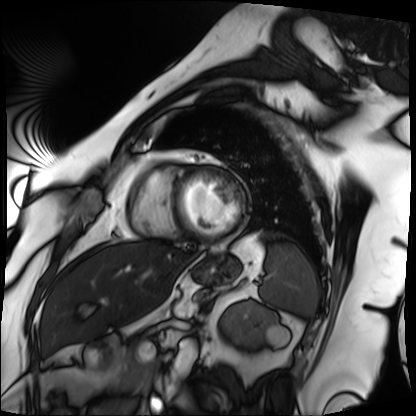
Cardiac MRI. Subject group: patient.